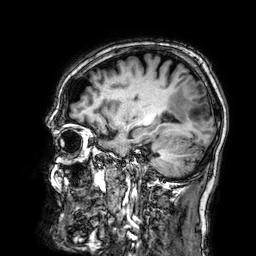
{
  "modality": {
    "type": "brain MRI",
    "field_strength": "3T"
  },
  "series": "3D T1-weighted",
  "study_topic": "ring-enhancing brain masses"
}